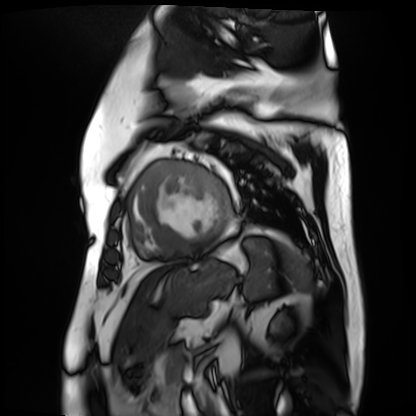
modality: cardiac MR image of the myocardium
subject cohort: cardiac patient